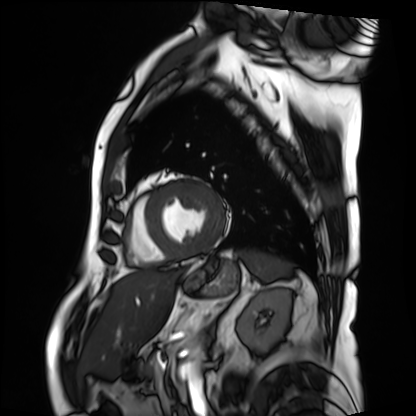
Cardiac MRI.
Subject group: patient.